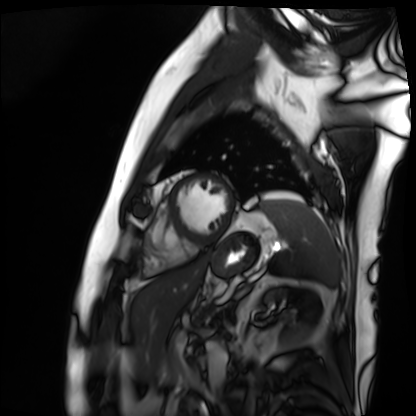
Summary: Cardiac MRI. Subject group: patient.